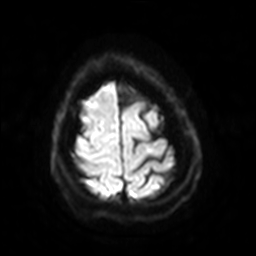
3 Tesla brain MRI. Series: diffusion-weighted imaging with SENSE (WIP). Study: ring-enhancing brain masses.